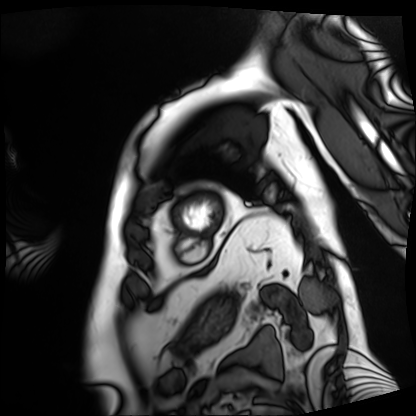
modality = cardiac MRI, subject group = patient.